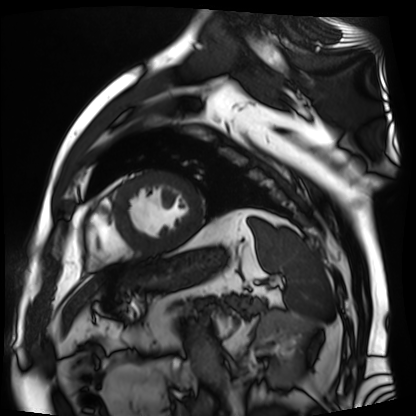
Cardiac MR image of the myocardium.
Subject cohort: cardiac patient.